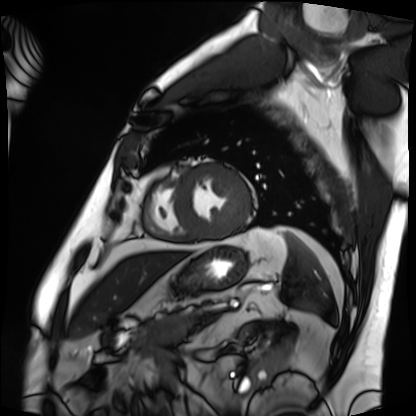
{"modality": "cardiac MRI", "cohort": "patient"}